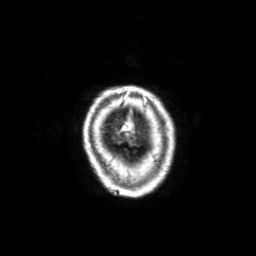
  modality:
    type: brain MRI
    field_strength: 3T
  study_topic: ring-enhancing brain masses